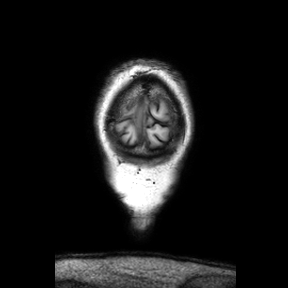
Clinical context:
3 Tesla brain MRI. Series: coronal. Study: ring-enhancing brain masses.